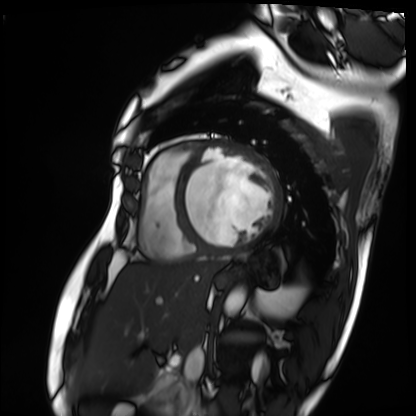
Q: What kind of scan is this?
A: Cardiac MRI.
Subject group: patient.